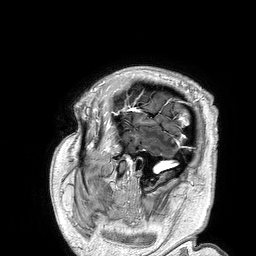
<record>
  <modality>
    <type>brain MRI</type>
    <field_strength>3T</field_strength>
  </modality>
  <series>3D T1-weighted turbo field echo</series>
  <study_topic>ring-enhancing brain masses</study_topic>
</record>